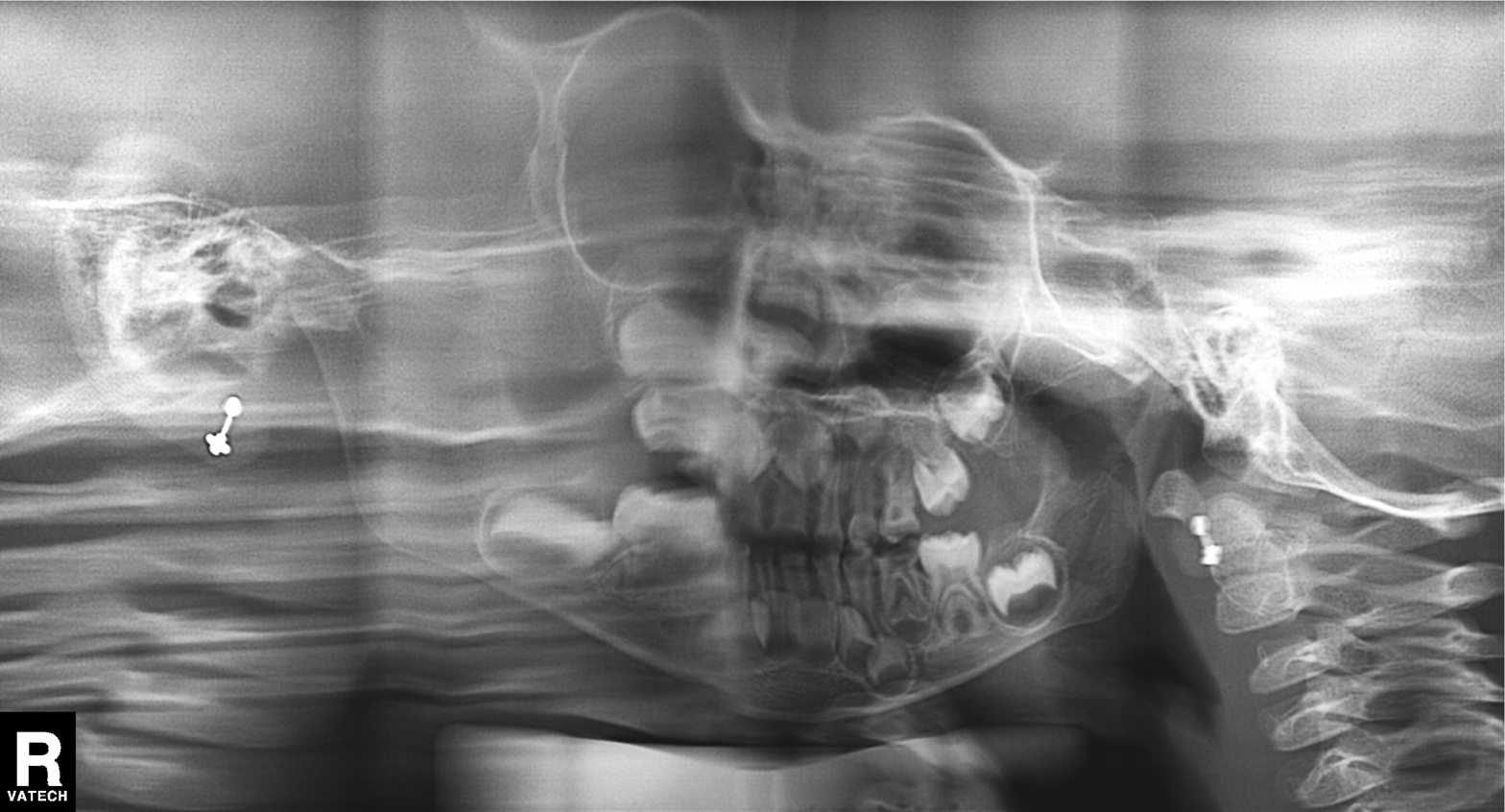
modality: panoramic dental radiograph (orthopantomogram); finding: alveolar bone loss.